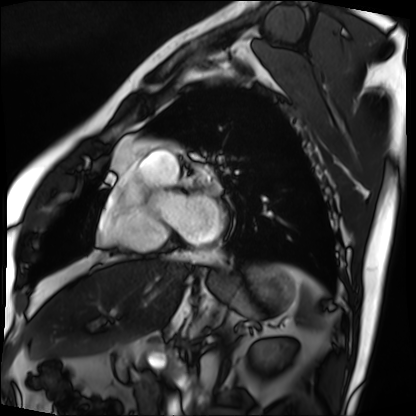
Cardiac MRI. Subject group: patient.